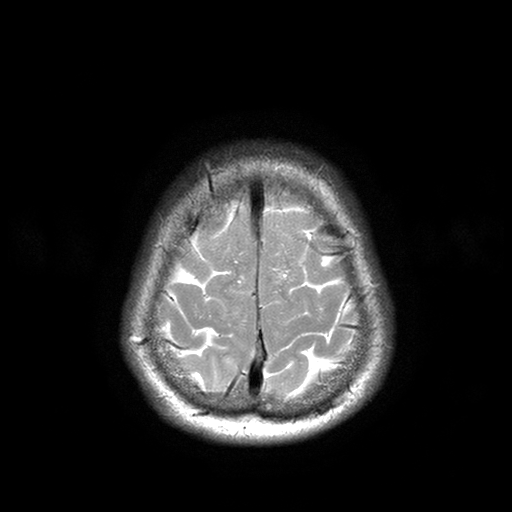
| field | value |
|---|---|
| modality | 3 Tesla brain MRI |
| series | T2-weighted turbo spin echo with SENSE |
| study | ring-enhancing brain masses |